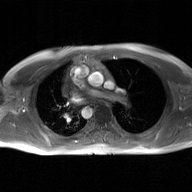
2D phase-contrast cine MRI of the ascending aorta, GAN super-resolution reconstruction.